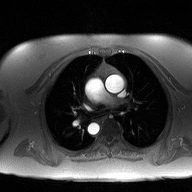
2D phase-contrast cine MRI of the ascending aorta, high-resolution GRAPPA acquisition.